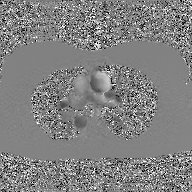
Case summary:
2D phase-contrast cine MRI of the ascending aorta, GAN super-resolution reconstruction.